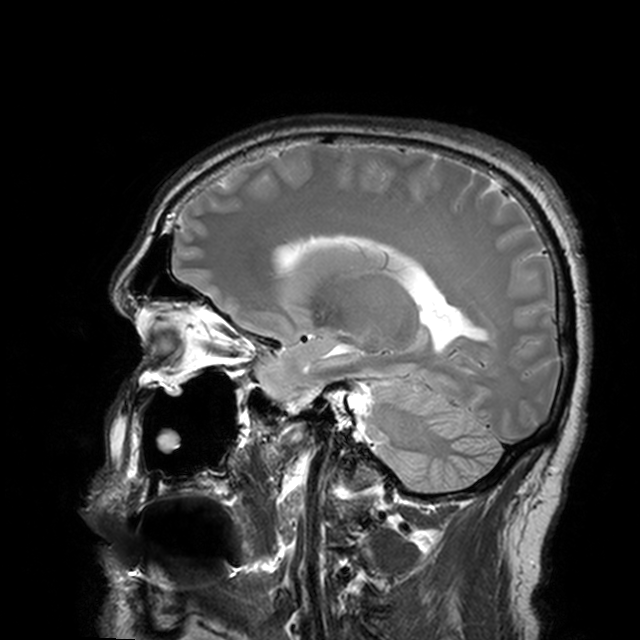
Summary: 3 Tesla brain MRI. Series: T2-weighted turbo spin echo with CLEAR. Study: ring-enhancing brain masses.